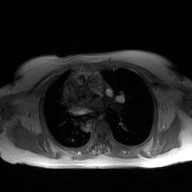
modality — 2D phase-contrast cine MRI of the ascending aorta, GAN super-resolution reconstruction.